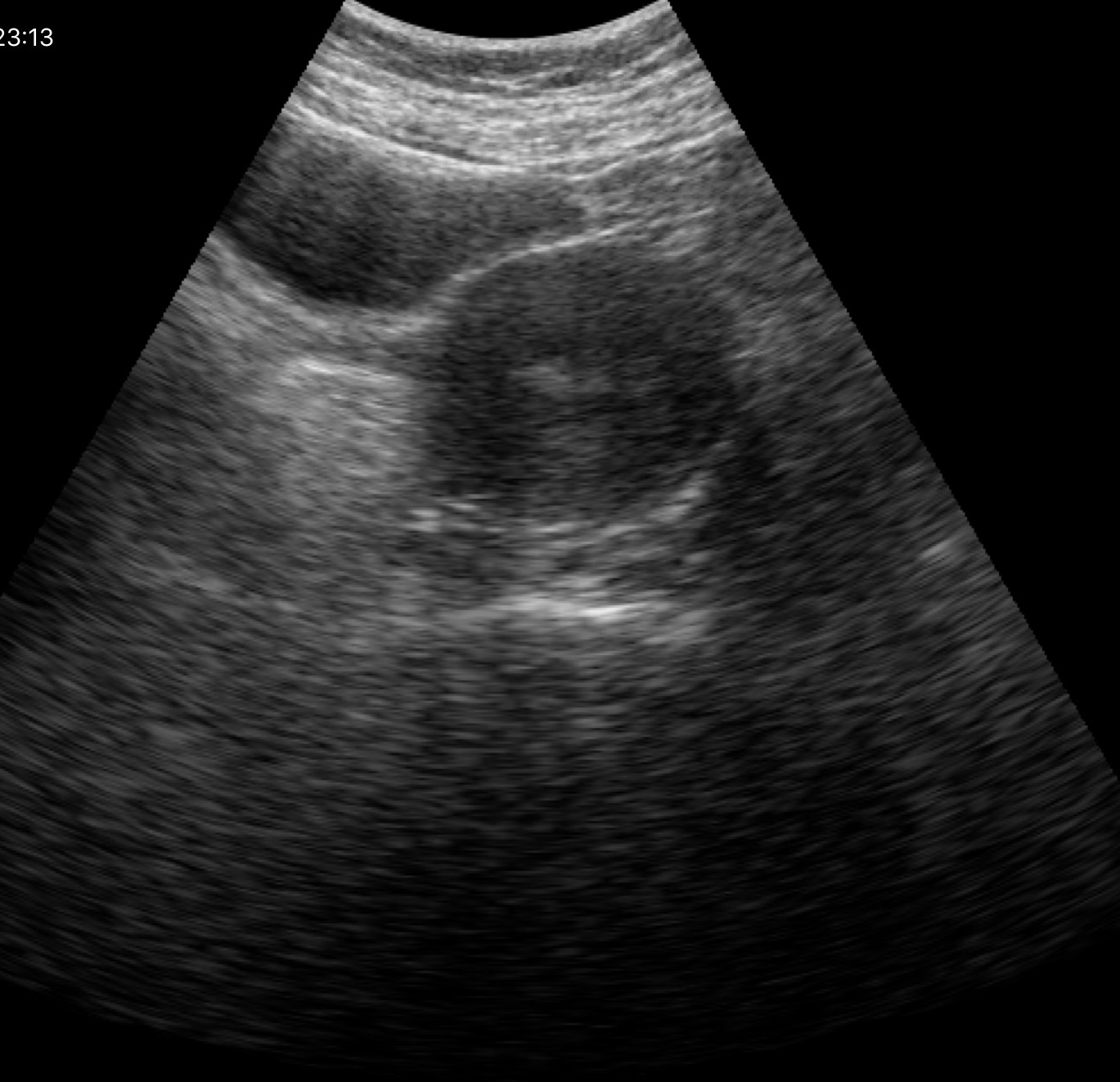
Genitourinary ultrasound.